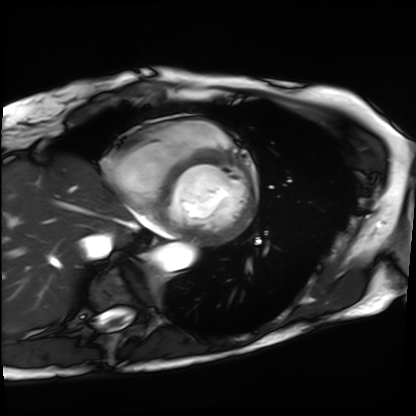
modality: cardiac MRI, subject group: patient.